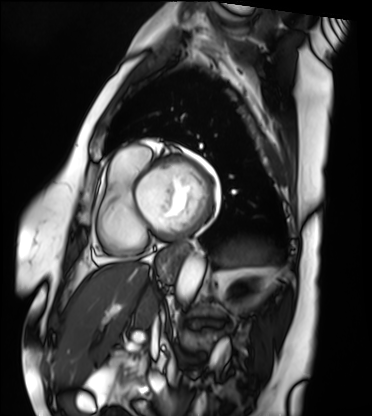
Summary: Cardiac MRI. Subject group: patient.